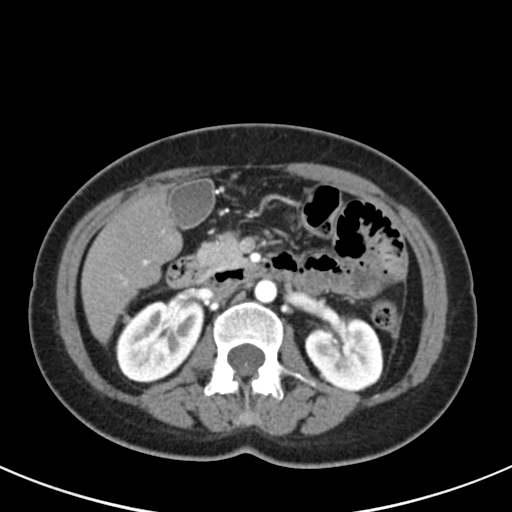
– modality · multiphase abdominal CT, liver, arterial phase
– patient · female, age 44
– history · viral hepatitis